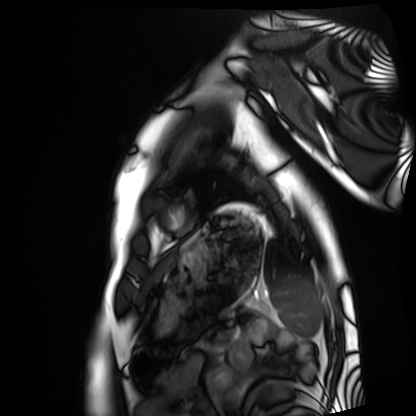
Cardiac MRI.
Subject group: healthy volunteer.